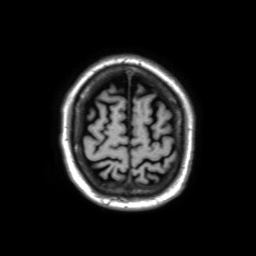
modality — 3 Tesla brain MRI
study — ring-enhancing brain masses